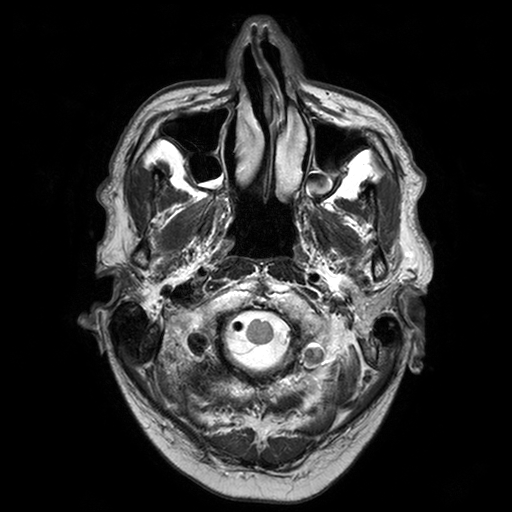
Q: What kind of scan is this?
A: 3 Tesla brain MRI.
Q: Series?
A: T2-weighted turbo spin echo with SENSE.
Study: ring-enhancing brain masses.